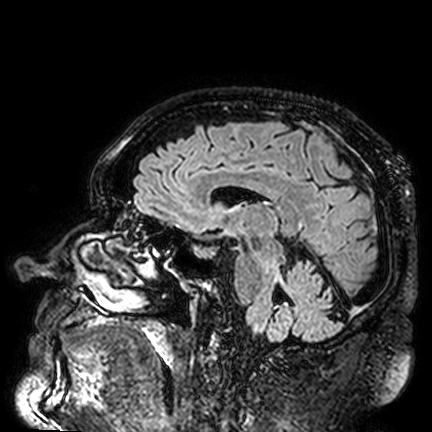
modality = 3 Tesla brain MRI | series = FLAIR VISTA | study = ring-enhancing brain masses.